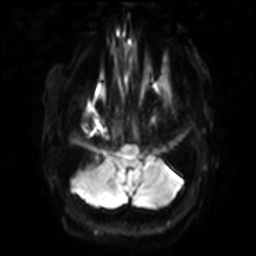
3 Tesla brain MRI.
Series: diffusion-weighted imaging with SENSE (WIP).
Study: ring-enhancing brain masses.